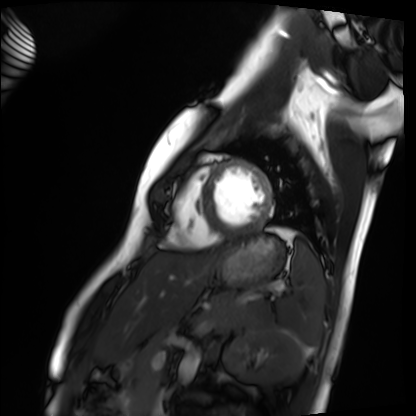
modality = cardiac MRI; subject group = healthy volunteer.